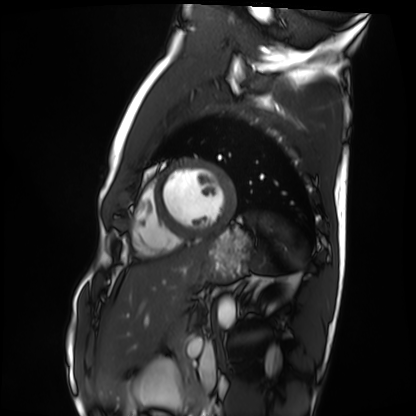
Summary: Cardiac MRI. Subject group: healthy volunteer.